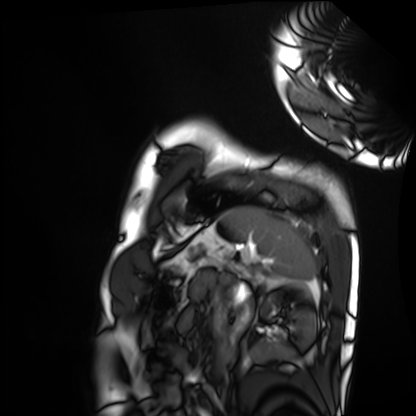
modality: cardiac MRI | subject group: healthy volunteer.